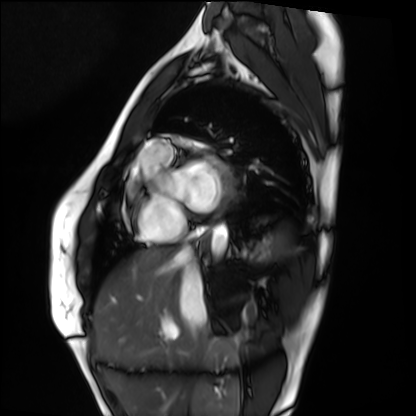
{
  "modality": "cardiac MRI",
  "cohort": "healthy volunteer"
}